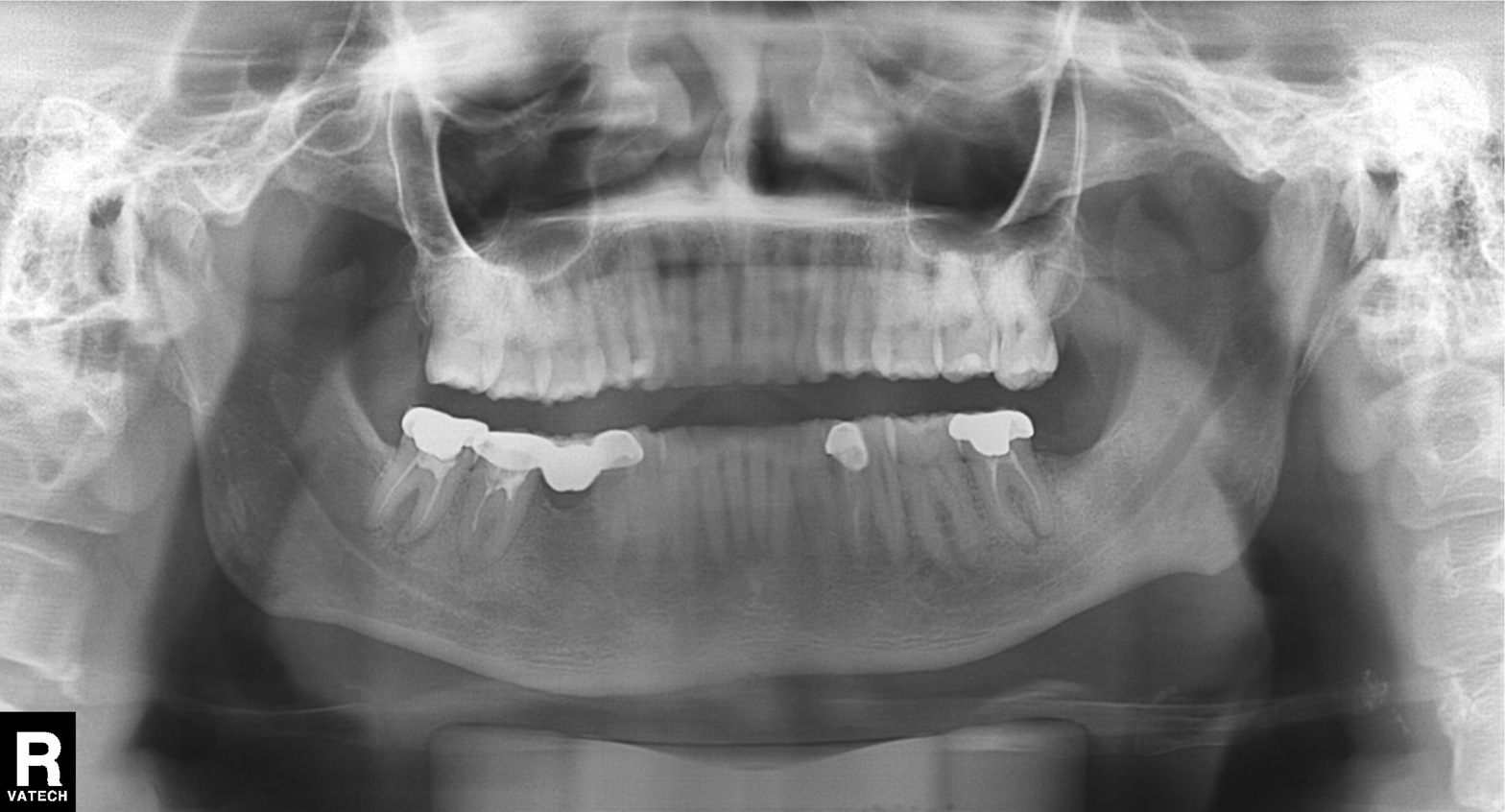
Q: What kind of scan is this?
A: Panoramic dental radiograph (orthopantomogram).
Q: What is the radiographic finding?
A: Alveolar bone loss.